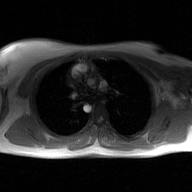
2D phase-contrast cine MRI of the ascending aorta, GAN super-resolution reconstruction.